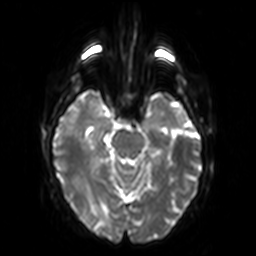
3 Tesla brain MRI.
Series: diffusion-weighted imaging.
Study: ring-enhancing brain masses.